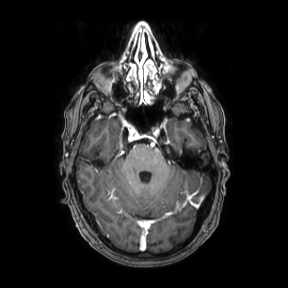
Summary:
3 Tesla brain MRI. Series: axial. Study: ring-enhancing brain masses.